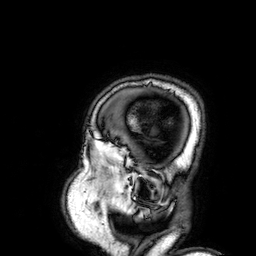
Clinical context:
3 Tesla brain MRI. Series: 3D T1-weighted. Study: ring-enhancing brain masses.